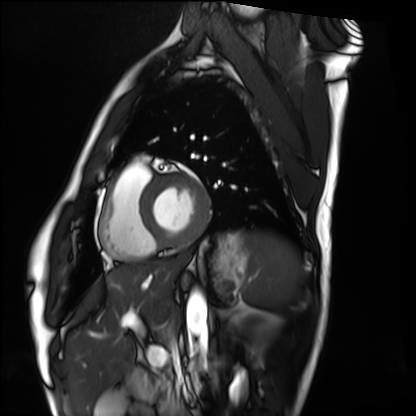
Case:
– modality — cardiac MRI
– subject group — healthy volunteer